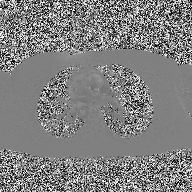
Summary: 2D phase-contrast cine MRI of the ascending aorta, high-resolution GRAPPA acquisition.